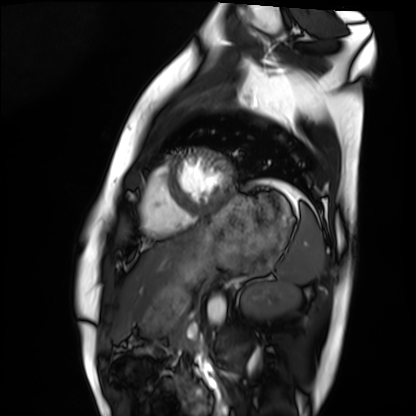
Cardiac MRI. Subject group: healthy volunteer.